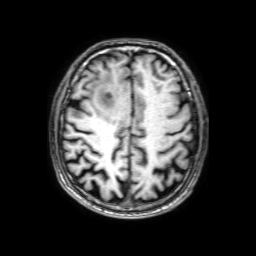
modality — 3 Tesla brain MRI
series — 3D T1-weighted with SENSE
study — ring-enhancing brain masses